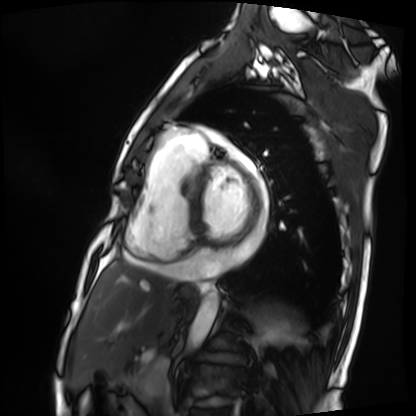
Cardiac MRI.
Subject group: patient.